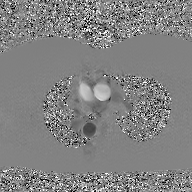
Clinical context:
2D phase-contrast cine MRI of the ascending aorta, GAN super-resolution reconstruction.